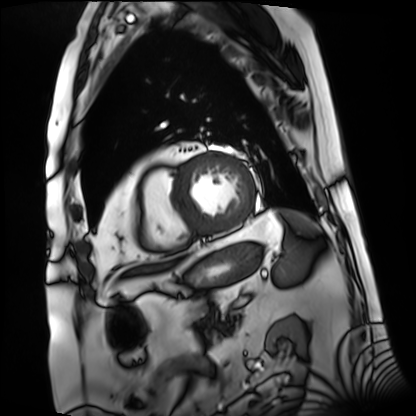
Q: What kind of scan is this?
A: Cardiac MRI.
Subject group: patient.